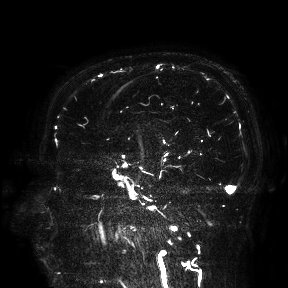
Case summary: 3 Tesla brain MRI. Study: ring-enhancing brain masses.